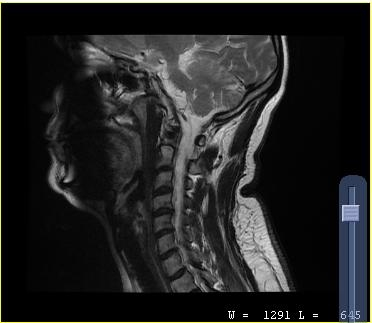
modality = MRI of the cervical spine
study = cervical spondylosis